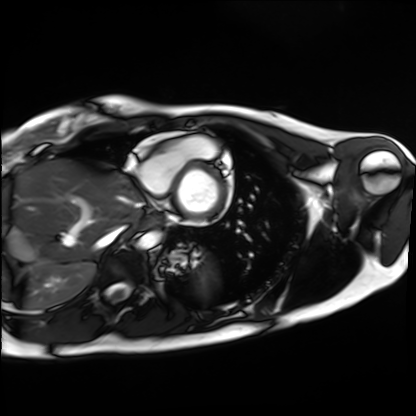
modality = cardiac MRI; subject group = healthy volunteer.